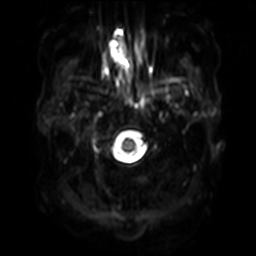
Q: What kind of scan is this?
A: 3 Tesla brain MRI.
Q: Series?
A: Diffusion-weighted imaging with SENSE (WIP).
Study: ring-enhancing brain masses.